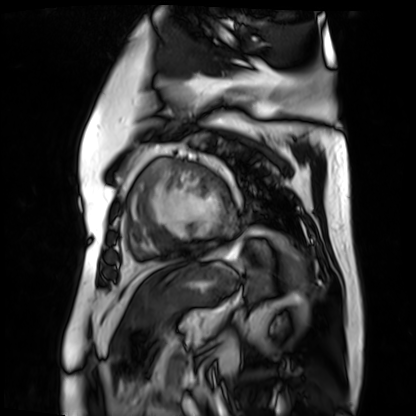
{"modality": "cardiac MR image of the myocardium", "cohort": "cardiac patient"}